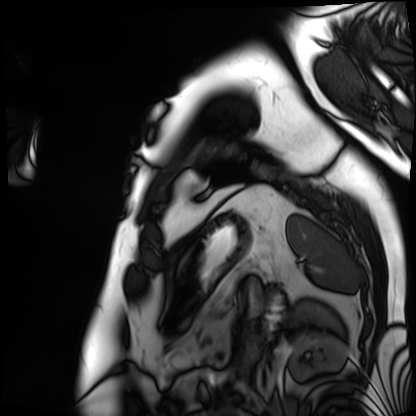
Clinical context:
Cardiac MRI. Subject group: patient.